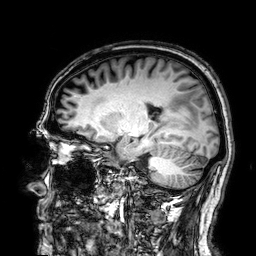
<record>
<modality>
  <type>brain MRI</type>
  <field_strength>3T</field_strength>
</modality>
<series>3D T1-weighted</series>
<study_topic>ring-enhancing brain masses</study_topic>
</record>